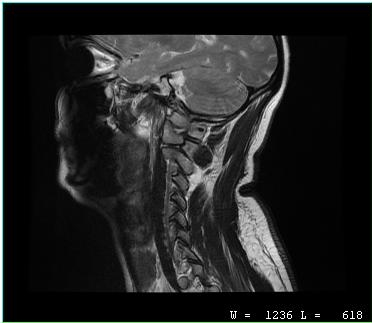
Summary:
MRI of the cervical spine. Study: cervical spondylosis.